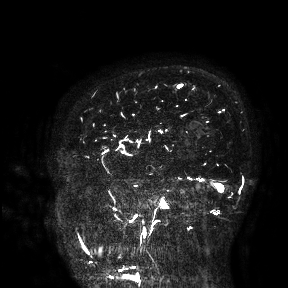
3 Tesla brain MRI.
Study: ring-enhancing brain masses.